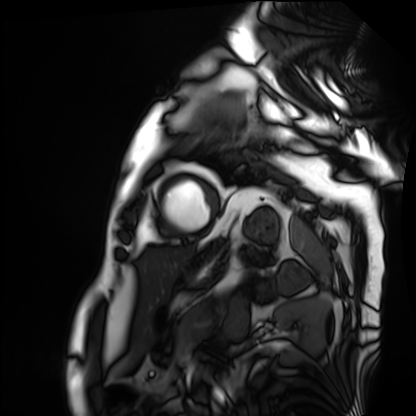
Q: What kind of scan is this?
A: Cardiac MRI.
Subject group: patient.